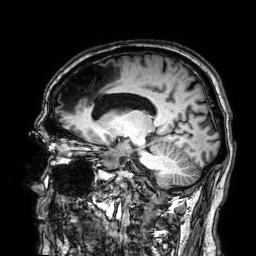
• modality · 3 Tesla brain MRI
• series · 3D T1-weighted
• study · ring-enhancing brain masses